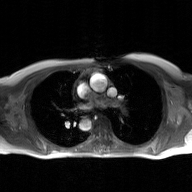
Summary: 2D phase-contrast cine MRI of the ascending aorta, GAN super-resolution reconstruction.